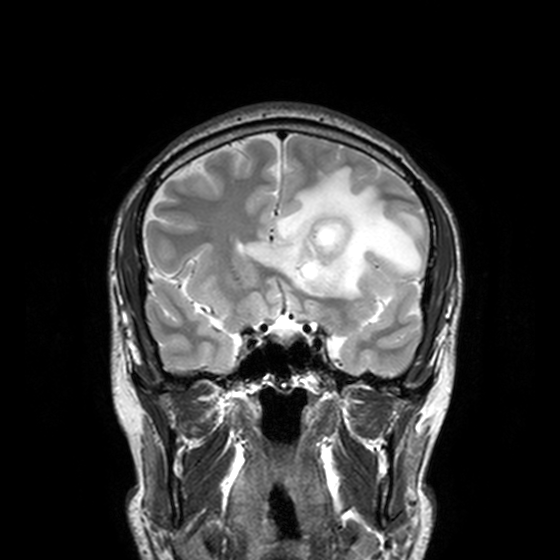
3 Tesla brain MRI. Series: T2-weighted turbo spin echo, 3 mm. Study: ring-enhancing brain masses.